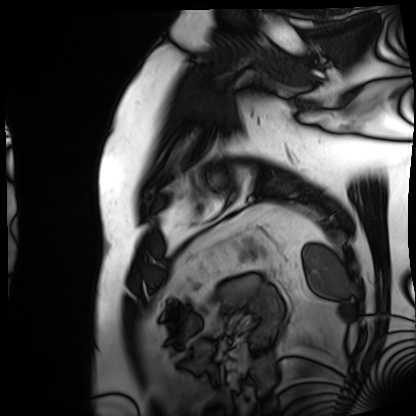
Cardiac MRI. Subject group: patient.